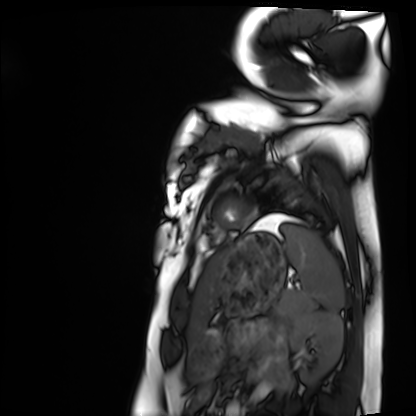
Q: What kind of scan is this?
A: Cardiac MRI.
Subject group: healthy volunteer.